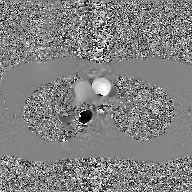
2D phase-contrast cine MRI of the ascending aorta, GAN super-resolution reconstruction.